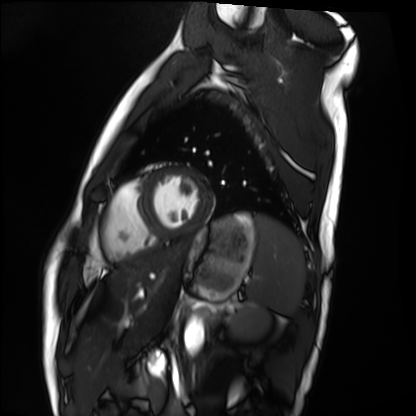
modality=cardiac MRI; subject group=healthy volunteer.